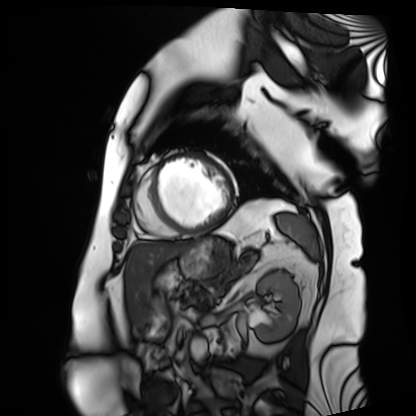
  modality: cardiac MRI
  cohort: patient